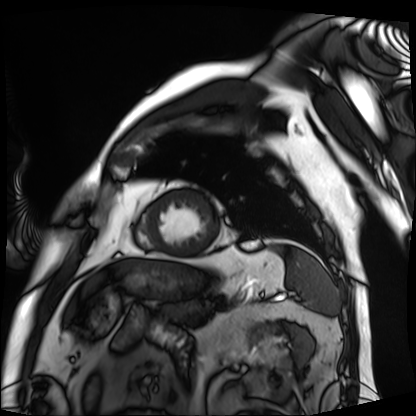
Case:
• modality: cardiac MRI
• subject group: patient